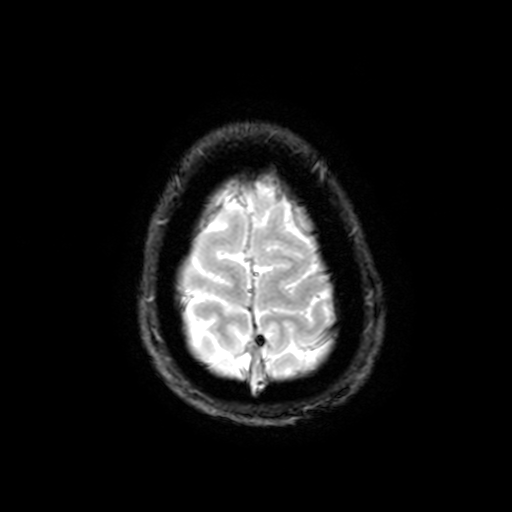
{
  "modality": {
    "type": "brain MRI",
    "field_strength": "3T"
  },
  "series": "T2-weighted fast field echo with SENSE",
  "study_topic": "ring-enhancing brain masses"
}